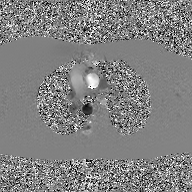
2D phase-contrast cine MRI of the ascending aorta, GAN super-resolution reconstruction.